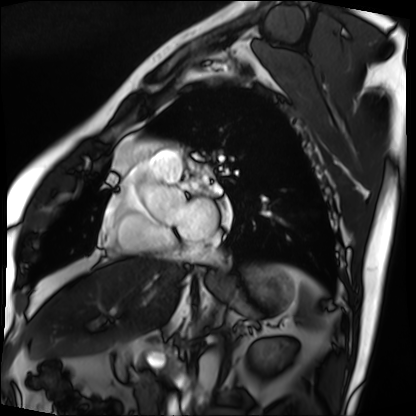
{
  "modality": "cardiac MRI",
  "cohort": "patient"
}